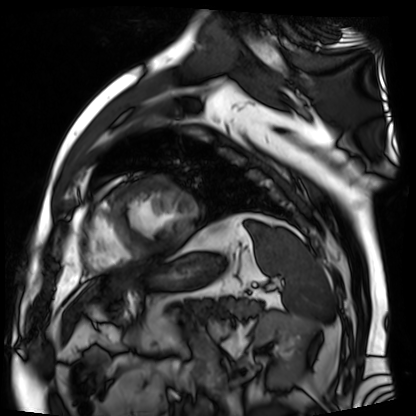
Summary: Cardiac MR image of the myocardium. Subject cohort: cardiac patient.